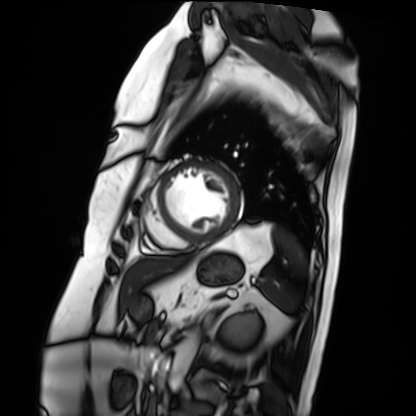
{"modality": "cardiac MRI", "cohort": "patient"}